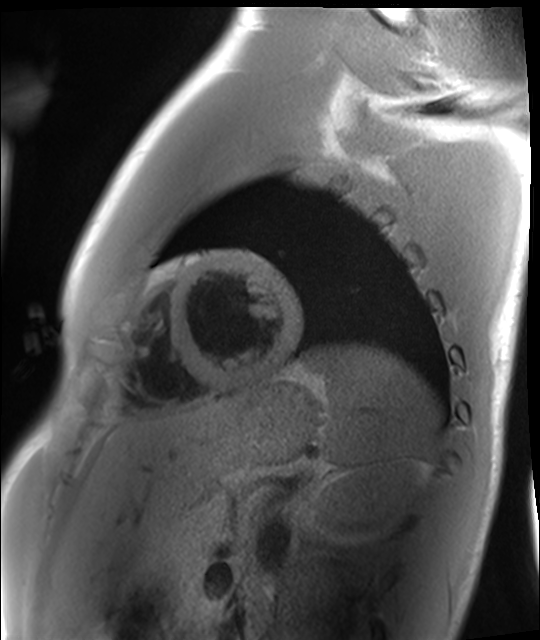
Cardiac MRI.
Subject group: healthy volunteer.